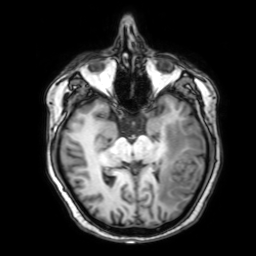
Q: What kind of scan is this?
A: 3 Tesla brain MRI.
Study: ring-enhancing brain masses.